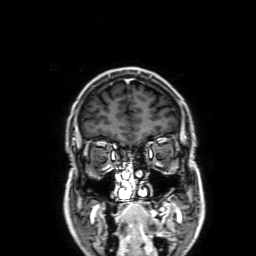
Summary: 3 Tesla brain MRI. Series: 3D T1-weighted with SENSE. Study: ring-enhancing brain masses.